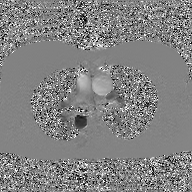
{"modality": {"type": "2D phase-contrast cine MRI", "region": "ascending aorta", "reconstruction": "GAN super-resolution reconstruction"}}